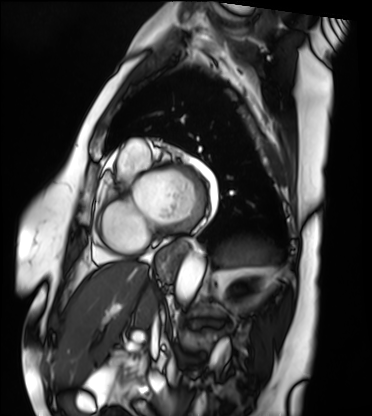
Cardiac MRI.
Subject group: patient.